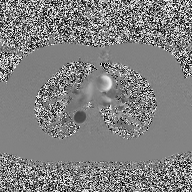
Summary: 2D phase-contrast cine MRI of the ascending aorta, high-resolution GRAPPA acquisition.